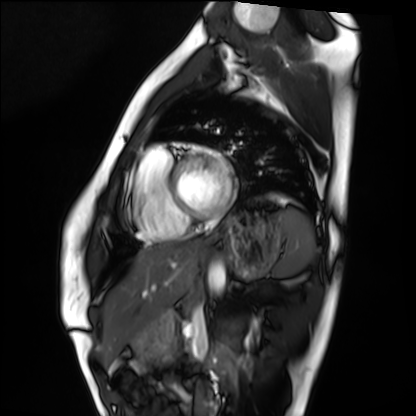
modality: cardiac MRI | subject group: healthy volunteer.